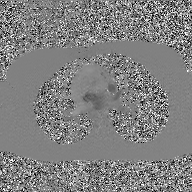
modality = 2D phase-contrast cine MRI of the ascending aorta, GAN super-resolution reconstruction